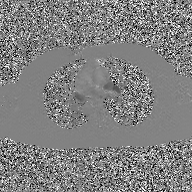
2D phase-contrast cine MRI of the ascending aorta, GAN super-resolution reconstruction.